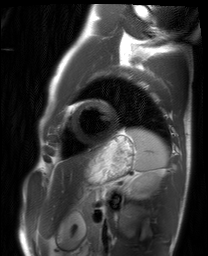
• modality — cardiac MRI
• subject group — healthy volunteer